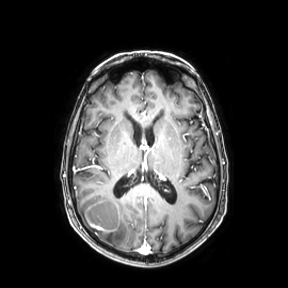
Case:
* modality: 3 Tesla brain MRI
* series: axial
* study: ring-enhancing brain masses